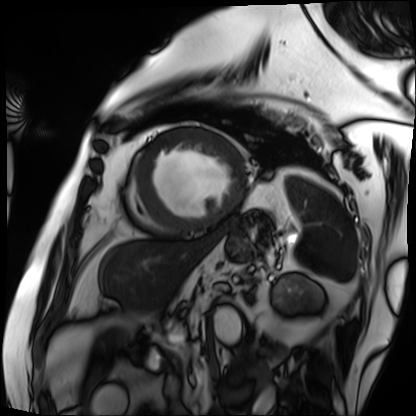
Case summary:
Cardiac MRI. Subject group: patient.